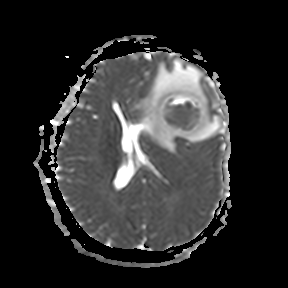
3 Tesla brain MRI.
Series: apparent diffusion coefficient (ADC) map.
Study: ring-enhancing brain masses.